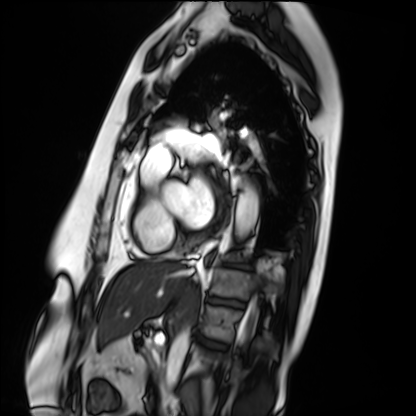
Case summary:
Cardiac MRI. Subject group: patient.